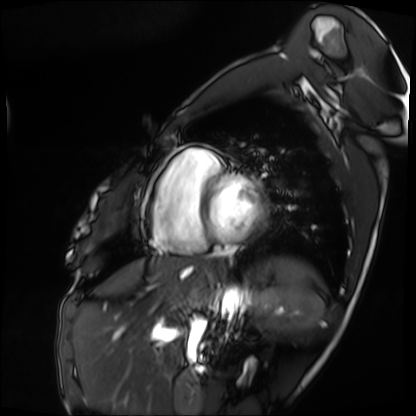
Cardiac MRI. Subject group: patient.